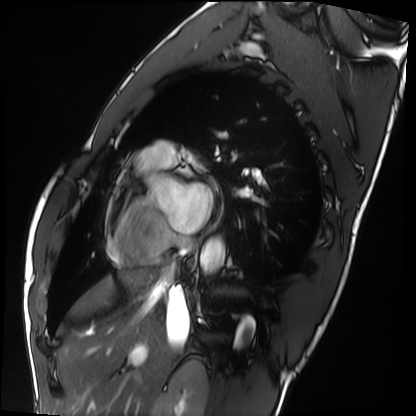
- modality · cardiac MRI
- subject group · healthy volunteer